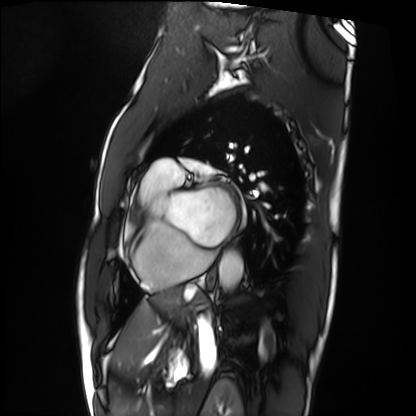
modality = cardiac MRI; subject group = patient.